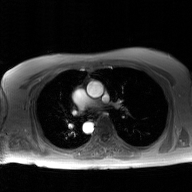
2D phase-contrast cine MRI of the ascending aorta, GAN super-resolution reconstruction.